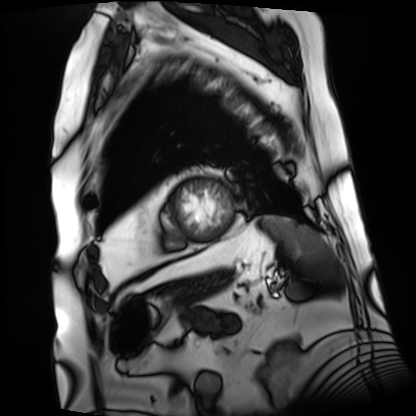
{"modality": "cardiac MRI", "cohort": "patient"}